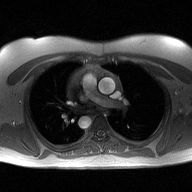
Case summary:
2D phase-contrast cine MRI of the ascending aorta, high-resolution GRAPPA acquisition.